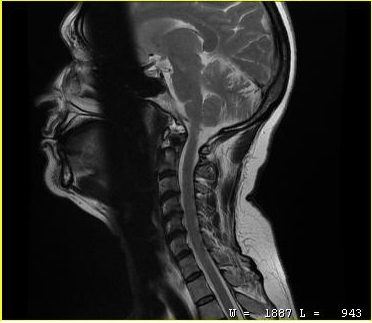
MRI of the cervical spine. Study: cervical spondylosis.